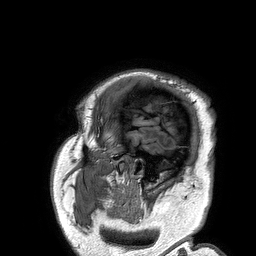
modality=3 Tesla brain MRI
series=3D T1-weighted turbo field echo
study=ring-enhancing brain masses